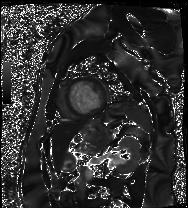
Cardiac MRI. Subject group: patient.